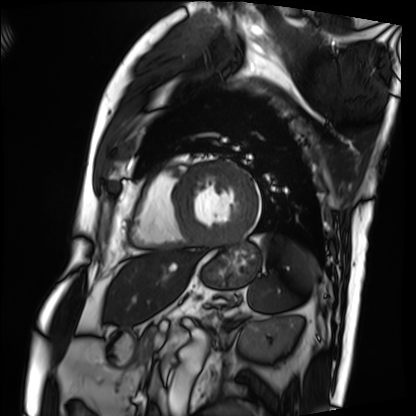
Summary: Cardiac MRI. Subject group: patient.